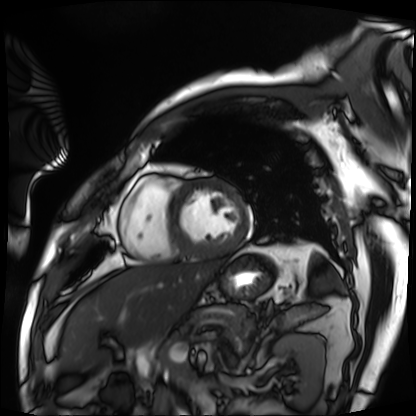
Cardiac MRI. Subject group: patient.